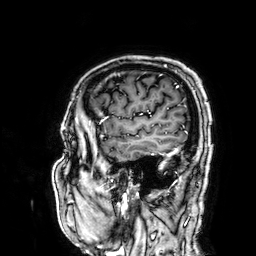
| field | value |
|---|---|
| modality | 3 Tesla brain MRI |
| series | 3D T1-weighted |
| study | ring-enhancing brain masses |